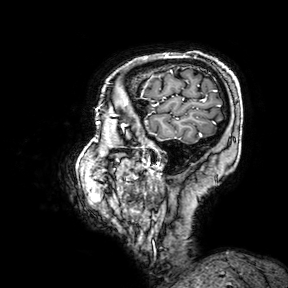
{
  "modality": {
    "type": "brain MRI",
    "field_strength": "3T"
  },
  "series": "3D T1-weighted turbo field echo with SENSE",
  "study_topic": "ring-enhancing brain masses"
}